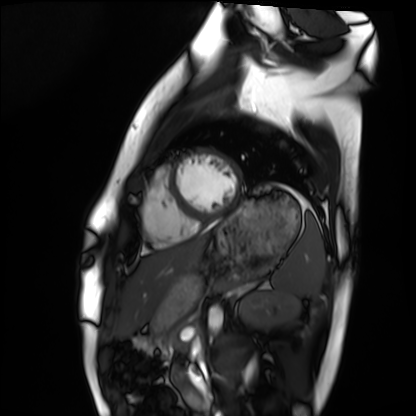
Cardiac MRI. Subject group: healthy volunteer.